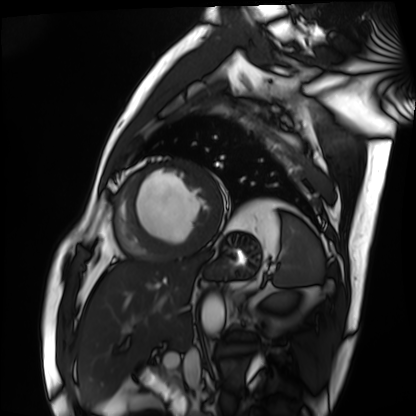
modality: cardiac MRI | subject group: patient.